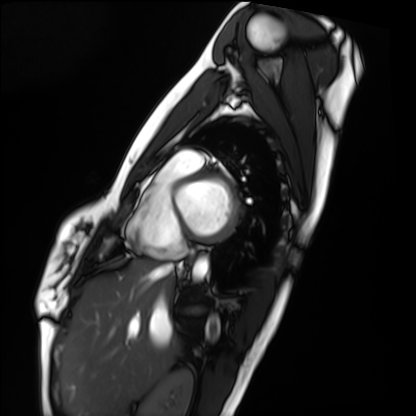
Summary: Cardiac MRI. Subject group: healthy volunteer.